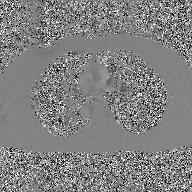
modality:
  type: 2D phase-contrast cine MRI
  region: ascending aorta
  reconstruction: GAN super-resolution reconstruction